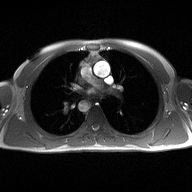
2D phase-contrast cine MRI of the ascending aorta, high-resolution GRAPPA acquisition.